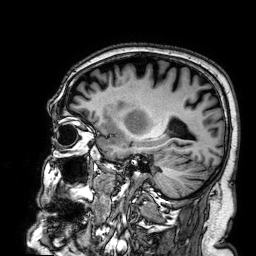
3 Tesla brain MRI. Study: ring-enhancing brain masses.